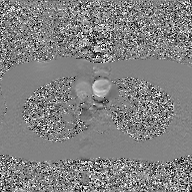
2D phase-contrast cine MRI of the ascending aorta, GAN super-resolution reconstruction.